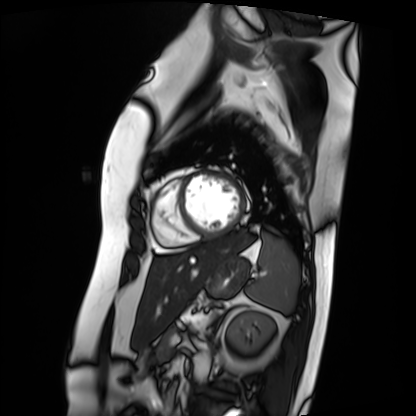
Cardiac MRI.
Subject group: patient.